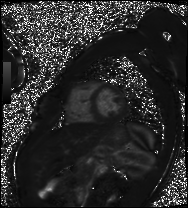
Q: What kind of scan is this?
A: Cardiac MRI.
Subject group: patient.